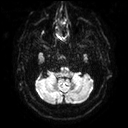
modality = 3 Tesla brain MRI
study = ring-enhancing brain masses